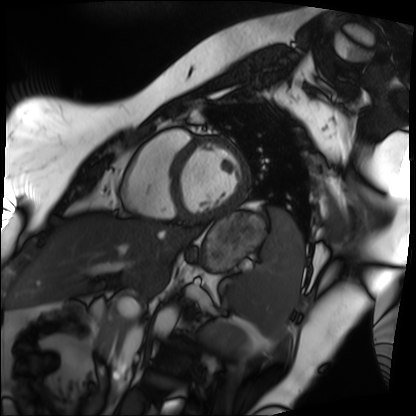
Case summary:
Cardiac MRI. Subject group: patient.